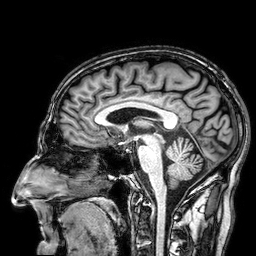
3 Tesla brain MRI.
Series: 3D T1-weighted.
Study: ring-enhancing brain masses.